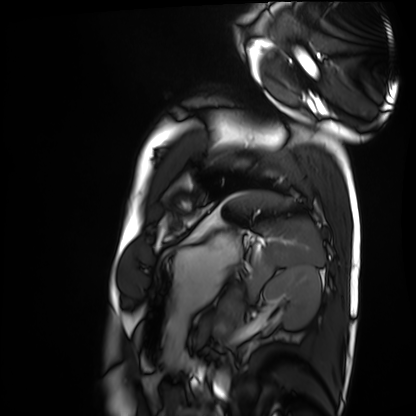
Cardiac MRI. Subject group: healthy volunteer.